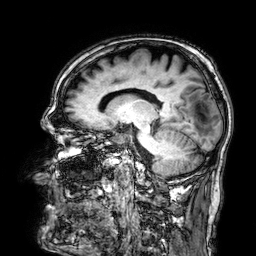
{
  "modality": {
    "type": "brain MRI",
    "field_strength": "3T"
  },
  "series": "3D T1-weighted",
  "study_topic": "ring-enhancing brain masses"
}